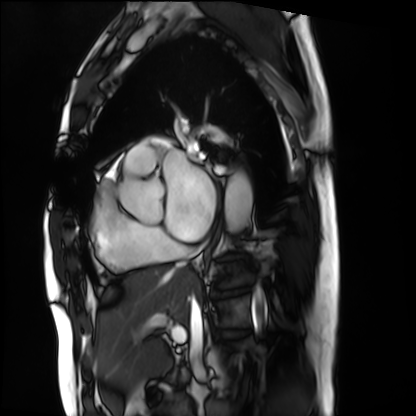
Cardiac MRI. Subject group: patient.